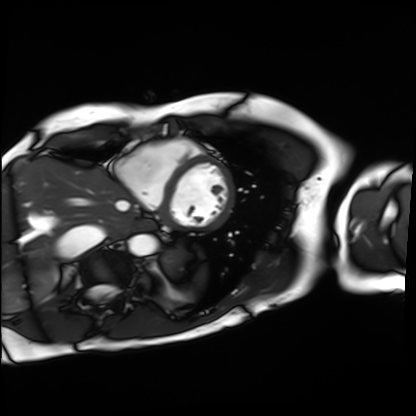
Cardiac MRI.
Subject group: patient.